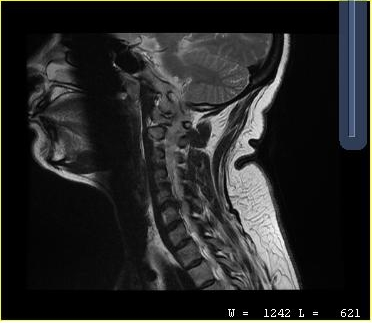
MRI of the cervical spine.
Study: cervical spondylosis.